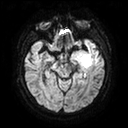
Summary: 3 Tesla brain MRI. Series: diffusion tensor imaging (medium iso). Study: ring-enhancing brain masses.